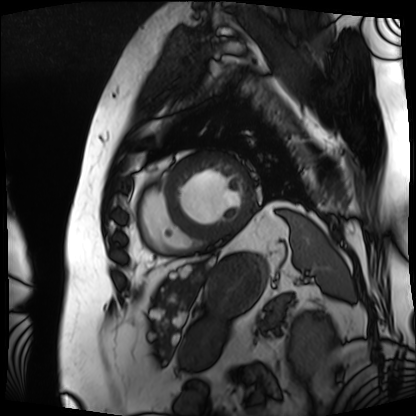
Cardiac MRI. Subject group: patient.